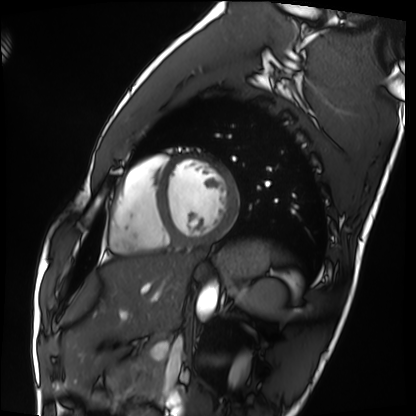
Cardiac MRI. Subject group: healthy volunteer.